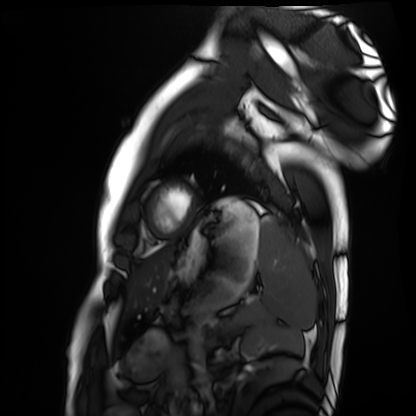
  modality: cardiac MRI
  cohort: healthy volunteer